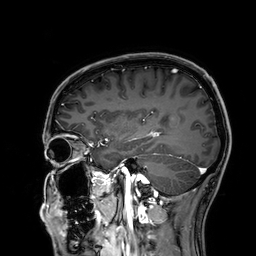
{
  "modality": {
    "type": "brain MRI",
    "field_strength": "3T"
  },
  "series": "3D T1-weighted",
  "study_topic": "ring-enhancing brain masses"
}